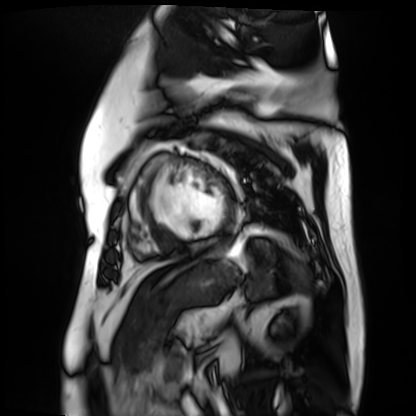
Case:
- modality · cardiac MR image of the myocardium
- subject cohort · cardiac patient